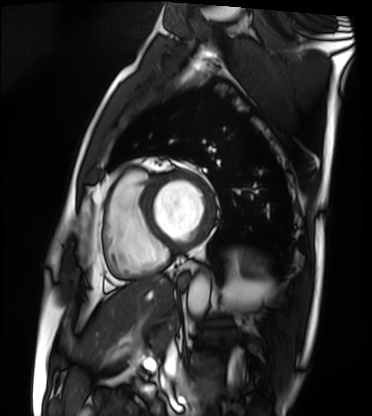
Cardiac MRI.
Subject group: patient.